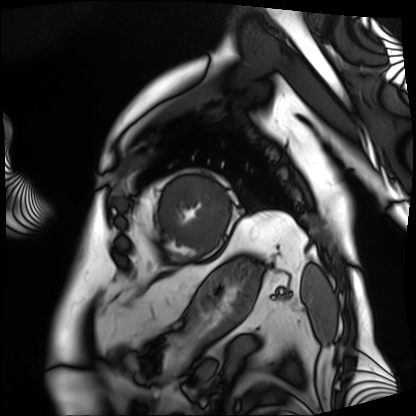
Cardiac MRI. Subject group: patient.